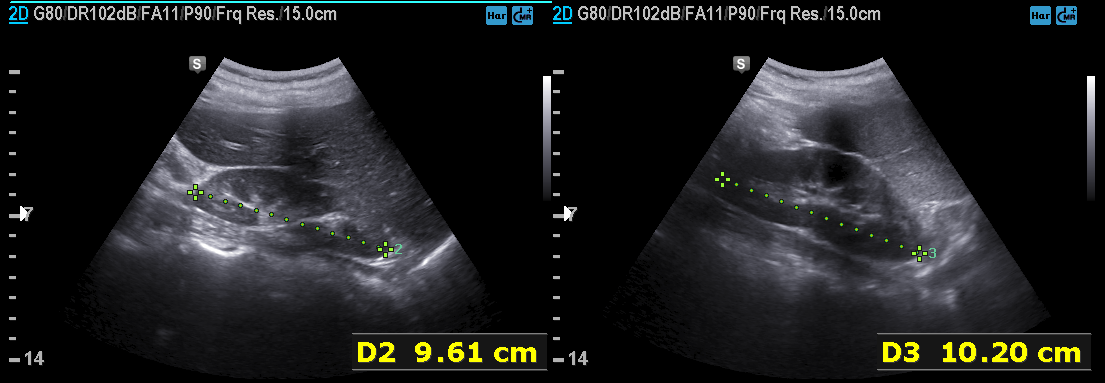
- modality — genitourinary ultrasound